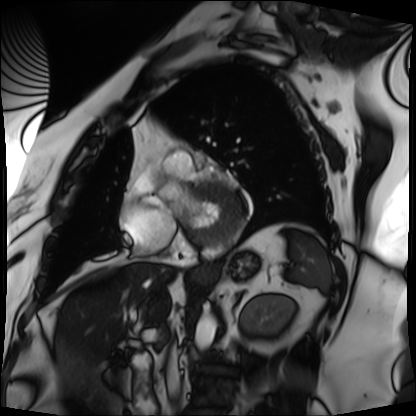
modality: cardiac MRI
subject group: patient